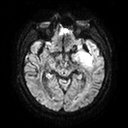
Summary:
3 Tesla brain MRI. Series: diffusion tensor imaging (medium iso). Study: ring-enhancing brain masses.